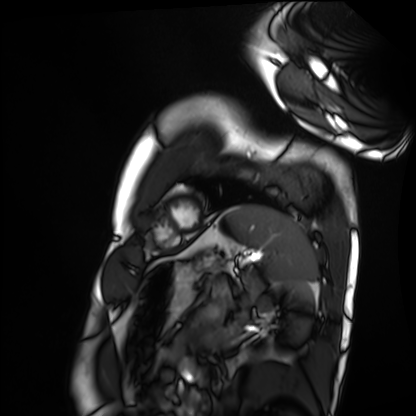
modality: cardiac MRI
cohort: healthy volunteer